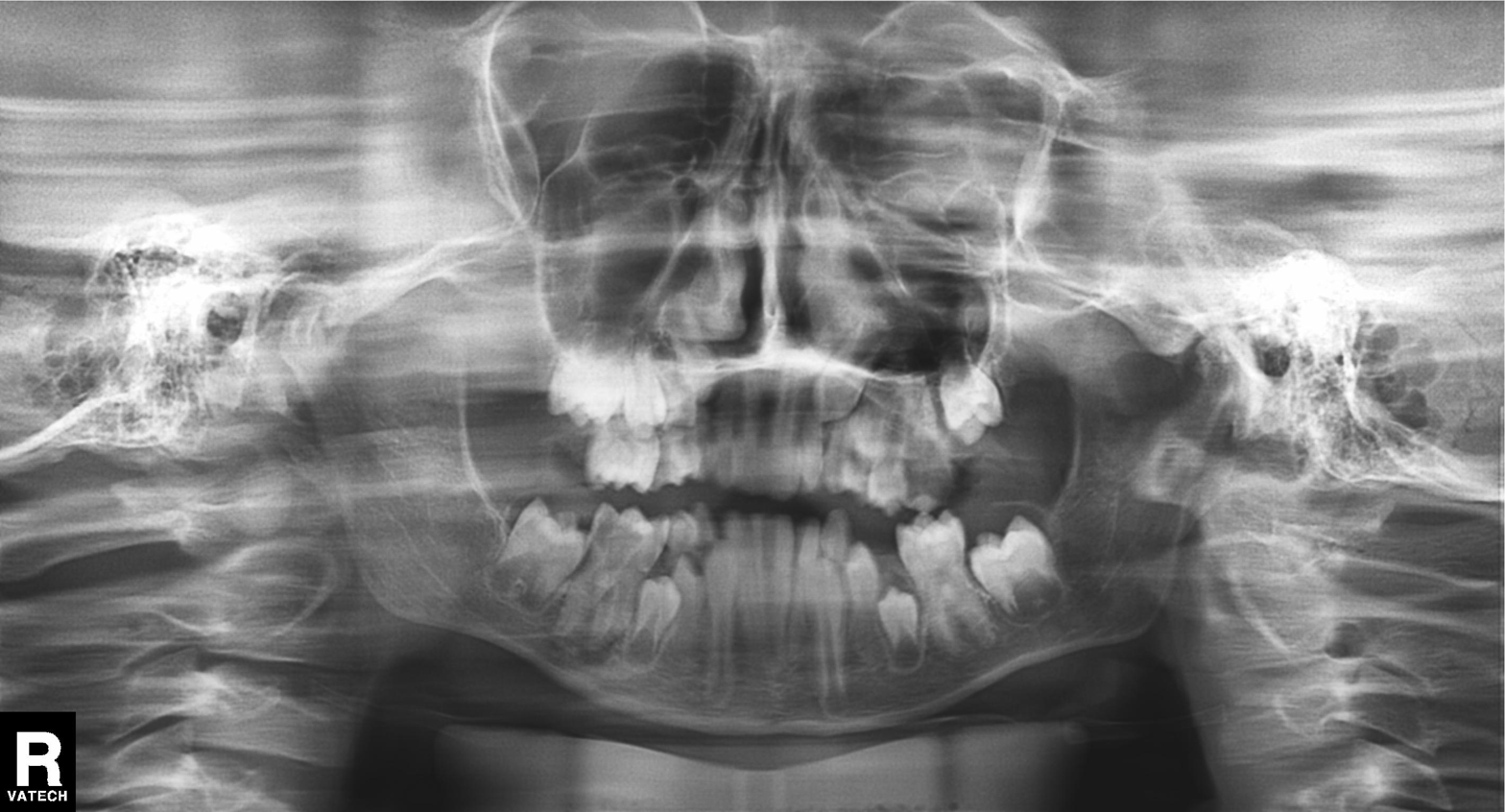
Q: What kind of scan is this?
A: Panoramic dental radiograph (orthopantomogram).
Q: What is the radiographic finding?
A: Alveolar bone loss.